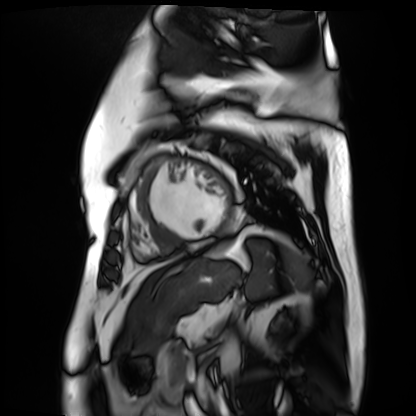
Cardiac MR image of the myocardium. Subject cohort: cardiac patient.